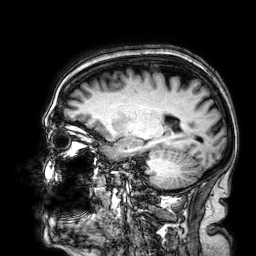
modality — 3 Tesla brain MRI; study — ring-enhancing brain masses.